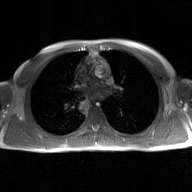
<study>
  <modality>
    <type>2D phase-contrast cine MRI</type>
    <region>ascending aorta</region>
    <reconstruction>GAN super-resolution reconstruction</reconstruction>
  </modality>
</study>